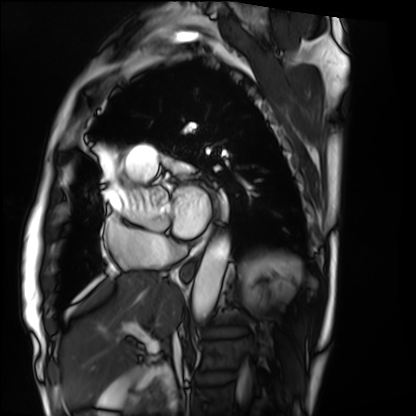
<study>
  <modality>cardiac MRI</modality>
  <cohort>patient</cohort>
</study>